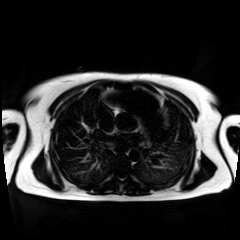
Chemical-shift-encoded cardiac MRI.